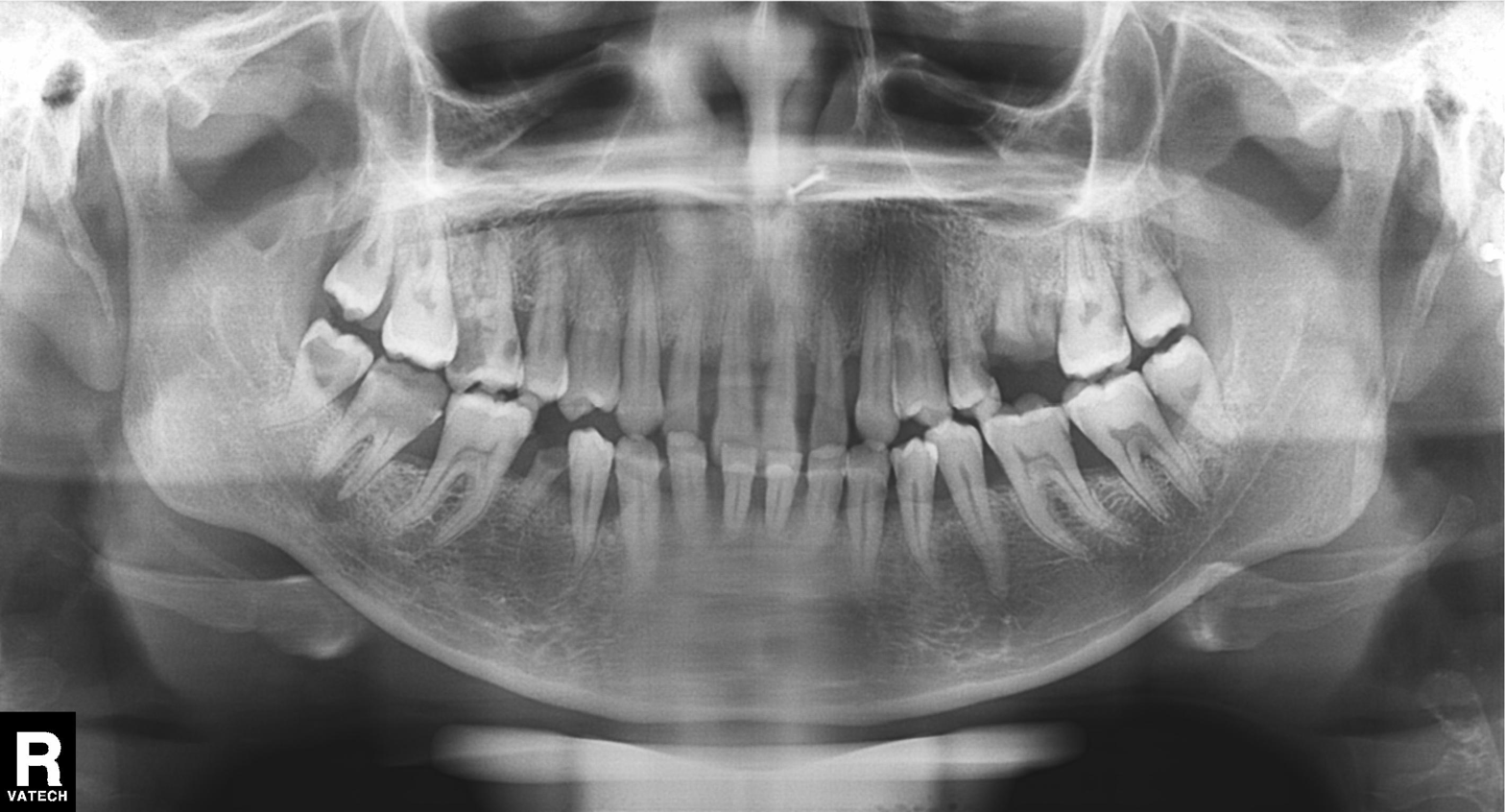
Panoramic dental radiograph (orthopantomogram). Finding: tooth impaction.